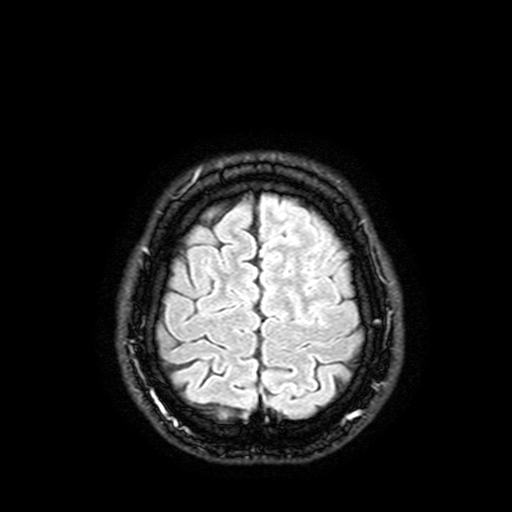
modality = 3 Tesla brain MRI | series = FLAIR with SPAIR, 3 mm | study = ring-enhancing brain masses.